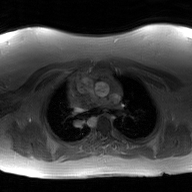
modality = 2D phase-contrast cine MRI of the ascending aorta, GAN super-resolution reconstruction.